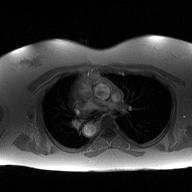
2D phase-contrast cine MRI of the ascending aorta, high-resolution GRAPPA acquisition.